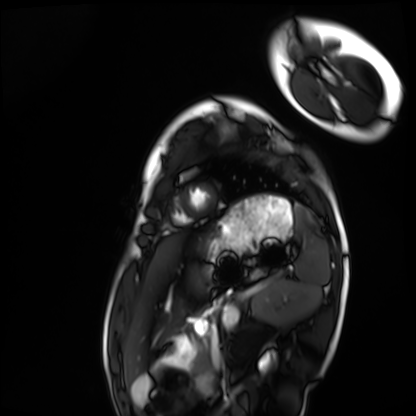
modality: cardiac MRI; subject group: healthy volunteer.